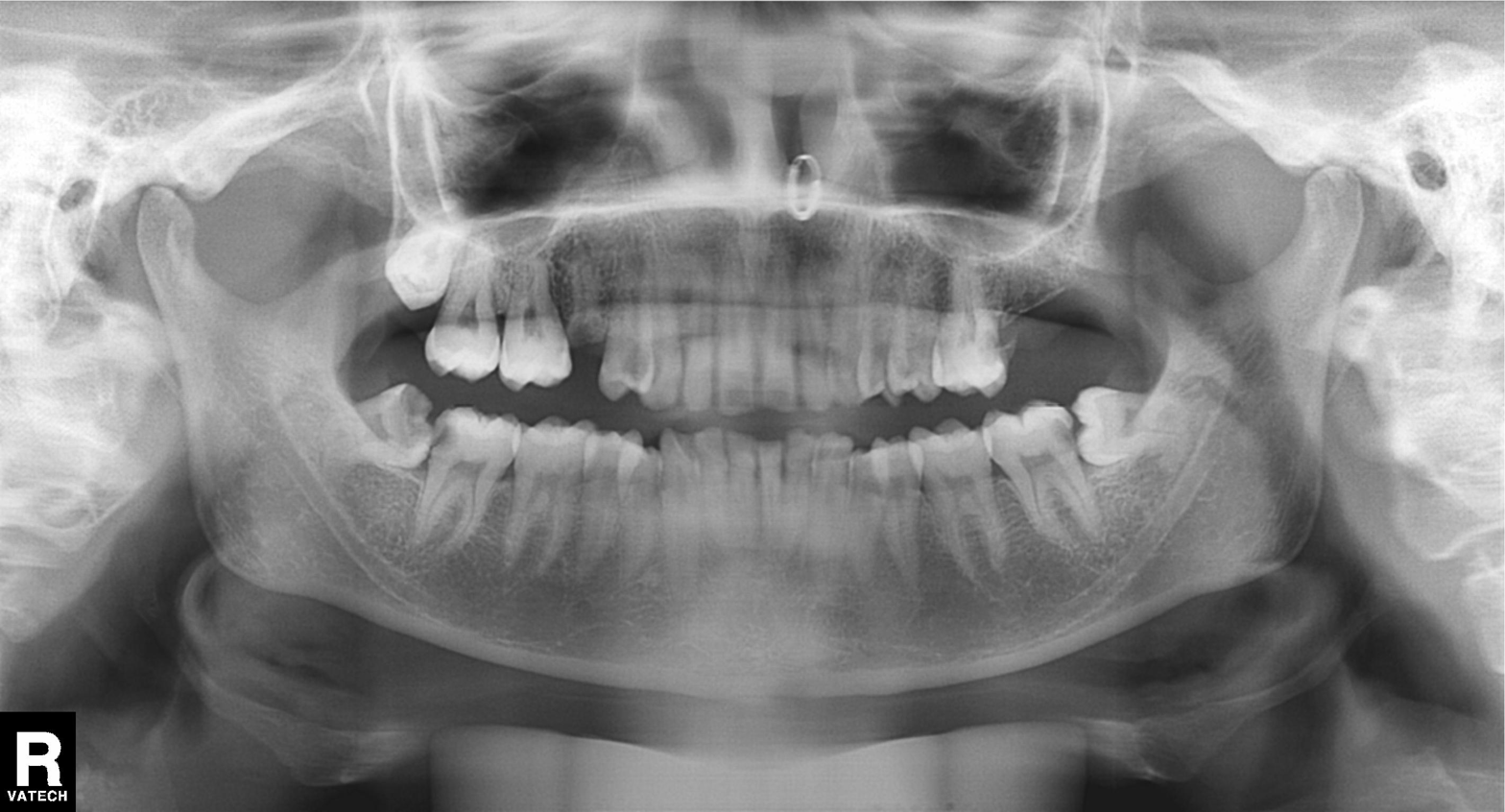
Case summary:
Panoramic dental radiograph (orthopantomogram).
Diagnosis:
Dental caries (cavities).